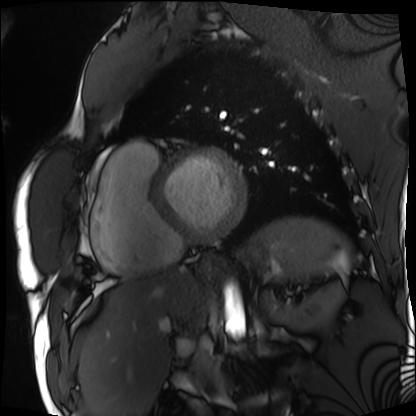
Cardiac MRI. Subject group: patient.